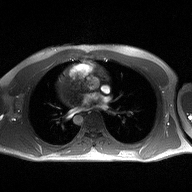
Clinical context:
2D phase-contrast cine MRI of the ascending aorta, high-resolution GRAPPA acquisition.